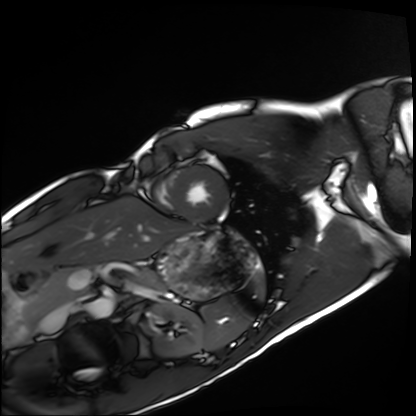
modality = cardiac MRI; subject group = healthy volunteer.